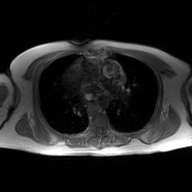
  modality:
    type: 2D phase-contrast cine MRI
    region: ascending aorta
    reconstruction: GAN super-resolution reconstruction